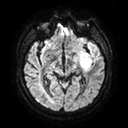
Case summary:
3 Tesla brain MRI. Series: diffusion tensor imaging (medium iso). Study: ring-enhancing brain masses.